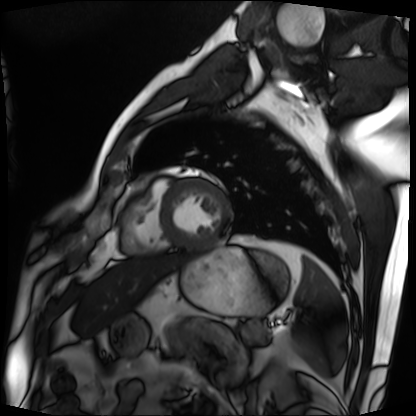
modality: cardiac MRI
subject group: patient